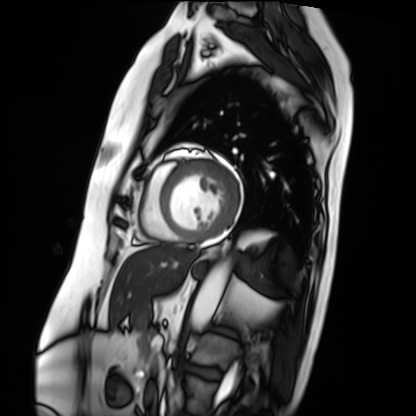
- modality · cardiac MRI
- subject group · patient